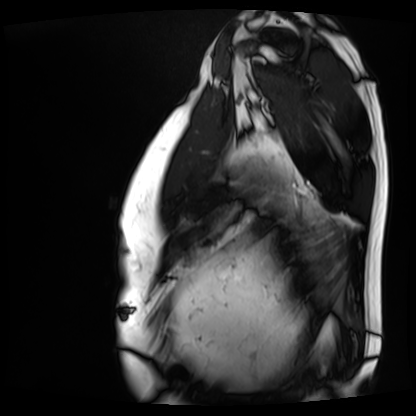
modality: cardiac MRI; subject group: patient.